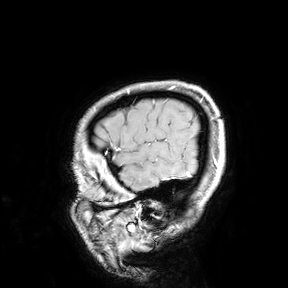
{"modality": {"type": "brain MRI", "field_strength": "3T"}, "study_topic": "ring-enhancing brain masses"}